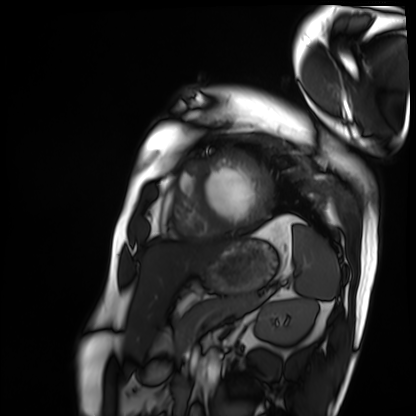
modality = cardiac MRI
subject group = patient